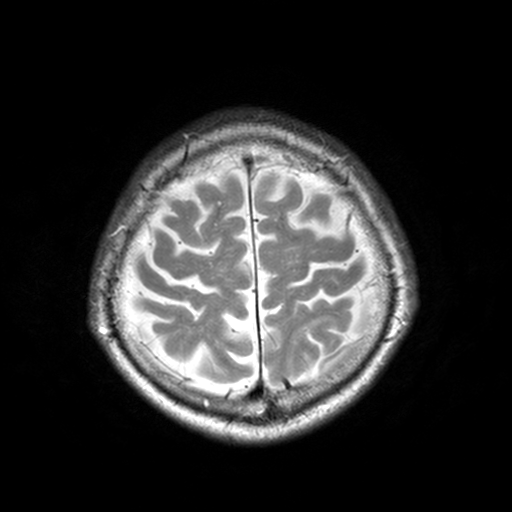
3 Tesla brain MRI. Series: T2-weighted turbo spin echo, 3 mm. Study: ring-enhancing brain masses.